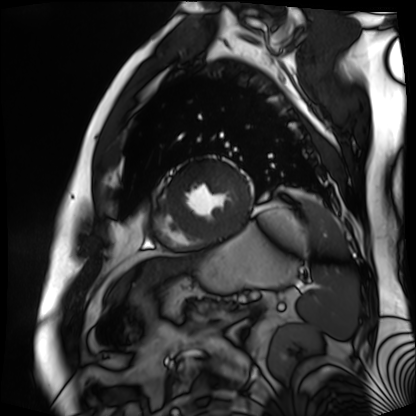
modality: cardiac MR image of the myocardium; subject cohort: cardiac patient.